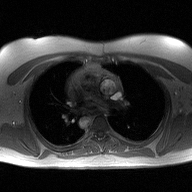
2D phase-contrast cine MRI of the ascending aorta, high-resolution GRAPPA acquisition.